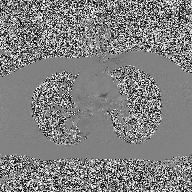
2D phase-contrast cine MRI of the ascending aorta, high-resolution GRAPPA acquisition.